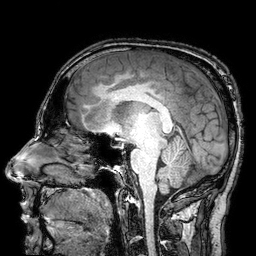
3 Tesla brain MRI. Series: 3D T1-weighted turbo field echo with SENSE. Study: ring-enhancing brain masses.